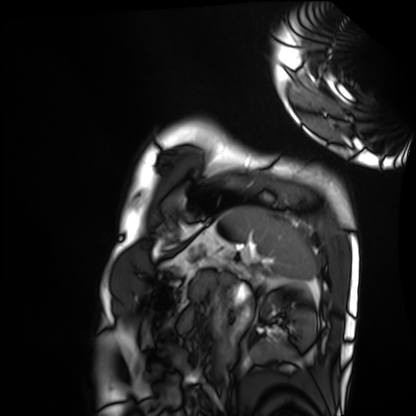
| field | value |
|---|---|
| modality | cardiac MRI |
| subject group | healthy volunteer |